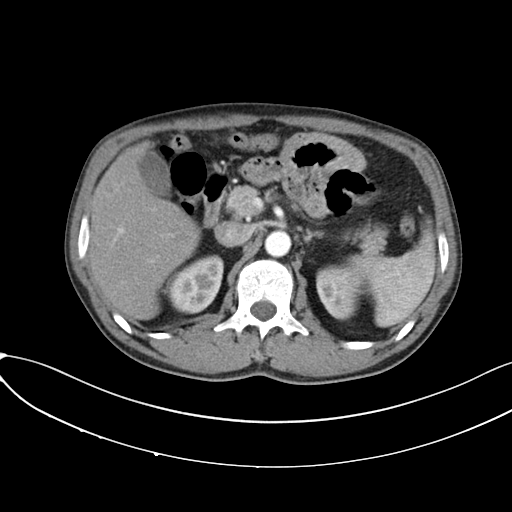
Multiphase abdominal CT, liver, arterial phase.
Patient: male, age 50.
History: prior chemotherapy.